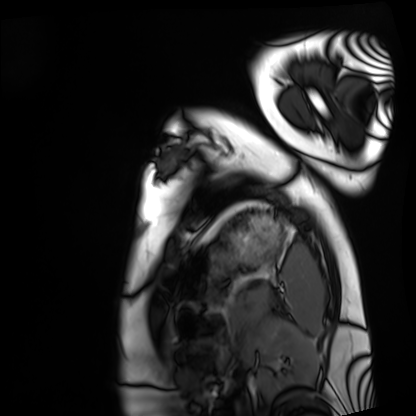
{
  "modality": "cardiac MRI",
  "cohort": "healthy volunteer"
}